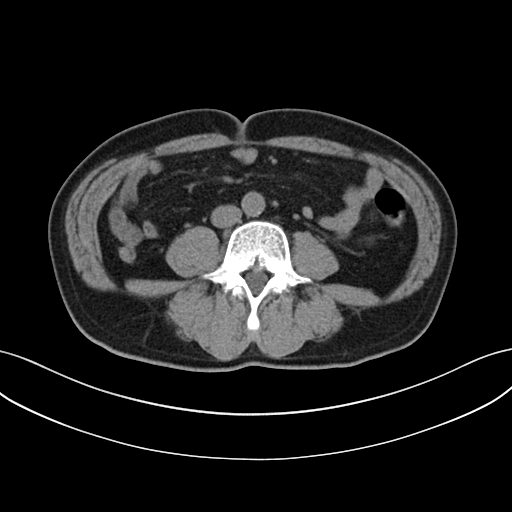
modality: multiphase abdominal CT, liver, non-contrast phase; patient: male, age 63.